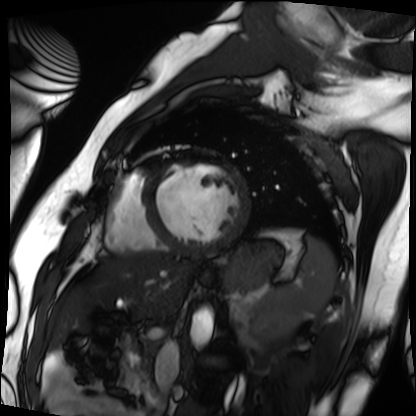
Q: What kind of scan is this?
A: Cardiac MRI.
Subject group: patient.